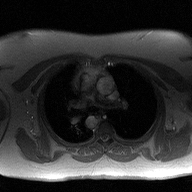
Q: What kind of scan is this?
A: 2D phase-contrast cine MRI of the ascending aorta.